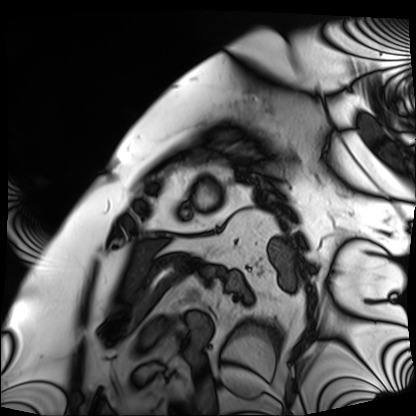
modality: cardiac MRI
subject group: patient